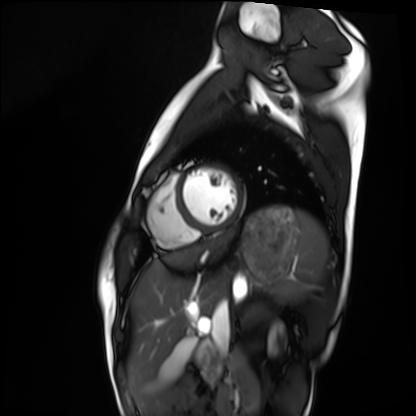
Summary:
Cardiac MRI. Subject group: healthy volunteer.